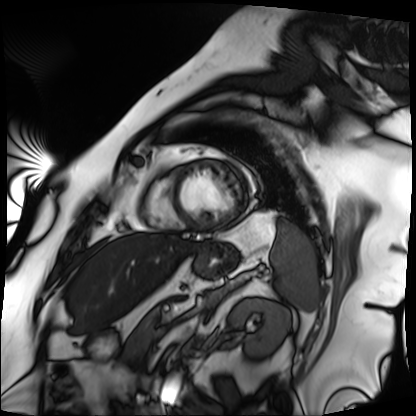
Cardiac MRI. Subject group: patient.